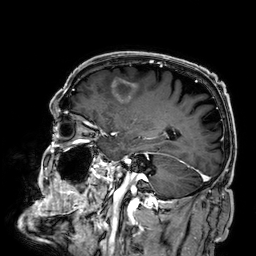
Summary:
3 Tesla brain MRI. Series: 3D T1-weighted. Study: ring-enhancing brain masses.